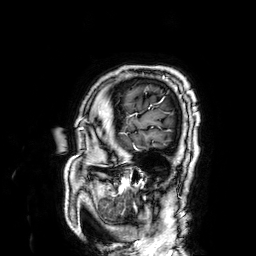
3 Tesla brain MRI.
Series: 3D T1-weighted.
Study: ring-enhancing brain masses.